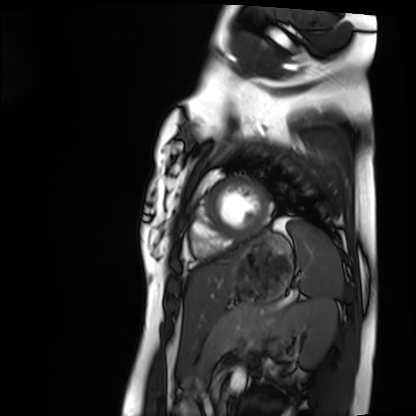
Q: What kind of scan is this?
A: Cardiac MRI.
Subject group: healthy volunteer.